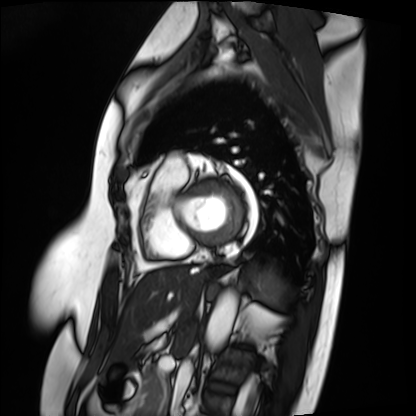
Cardiac MRI. Subject group: patient.